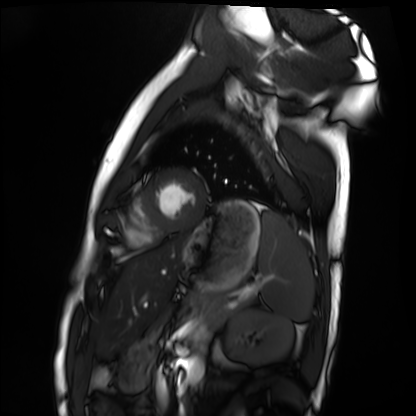
  modality: cardiac MRI
  cohort: healthy volunteer